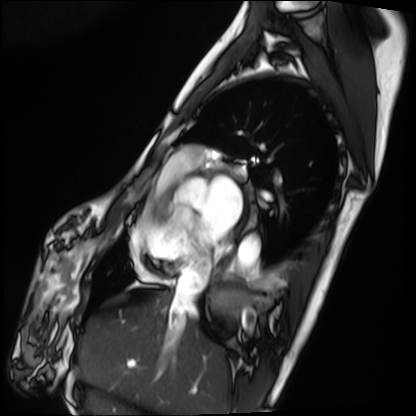
Cardiac MRI. Subject group: patient.